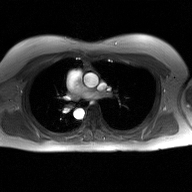
2D phase-contrast cine MRI of the ascending aorta, GAN super-resolution reconstruction.